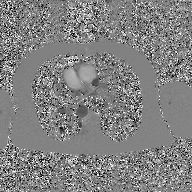
  modality:
    type: 2D phase-contrast cine MRI
    region: ascending aorta
    reconstruction: GAN super-resolution reconstruction